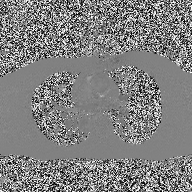
modality — 2D phase-contrast cine MRI of the ascending aorta.